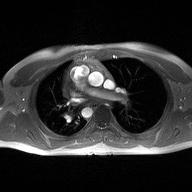
2D phase-contrast cine MRI of the ascending aorta, high-resolution GRAPPA acquisition.